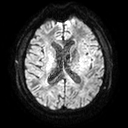
Q: What kind of scan is this?
A: 3 Tesla brain MRI.
Study: ring-enhancing brain masses.